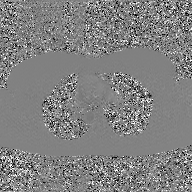
2D phase-contrast cine MRI of the ascending aorta, GAN super-resolution reconstruction.